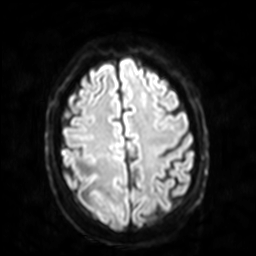
* modality · 3 Tesla brain MRI
* series · diffusion-weighted imaging with SENSE (WIP)
* study · ring-enhancing brain masses